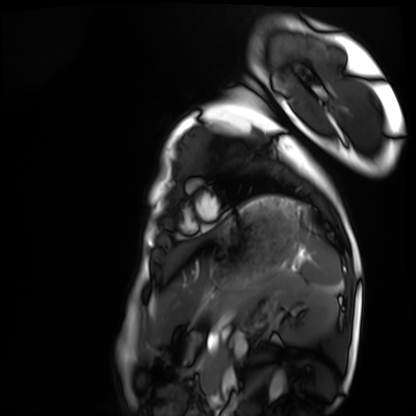
Cardiac MRI. Subject group: healthy volunteer.